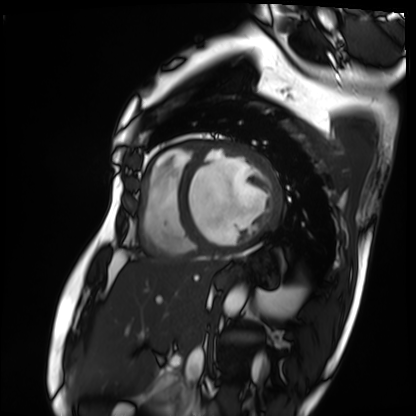
Cardiac MRI.
Subject group: patient.